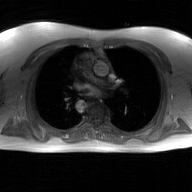
2D phase-contrast cine MRI of the ascending aorta, GAN super-resolution reconstruction.